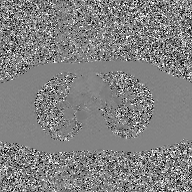
2D phase-contrast cine MRI of the ascending aorta, GAN super-resolution reconstruction.